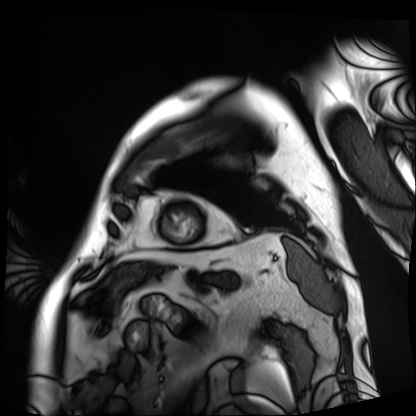
  modality: cardiac MRI
  cohort: patient